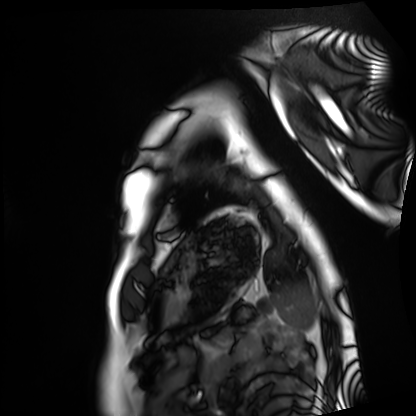
Cardiac MRI.
Subject group: healthy volunteer.